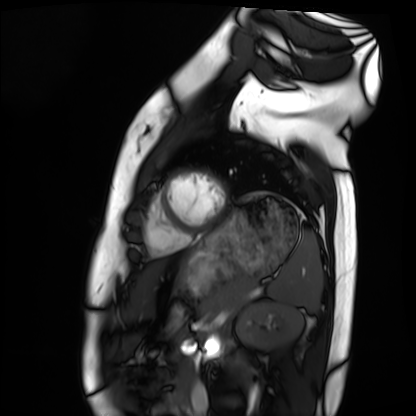
| field | value |
|---|---|
| modality | cardiac MRI |
| subject group | healthy volunteer |